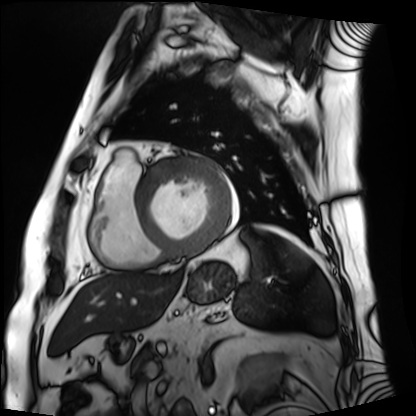
Cardiac MRI.
Subject group: patient.